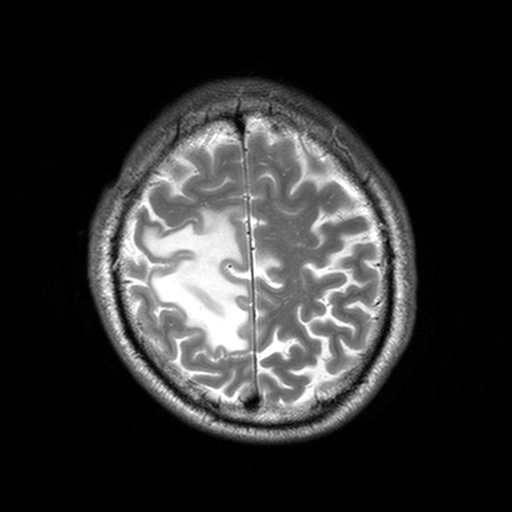
3 Tesla brain MRI. Series: T2-weighted turbo spin echo, 3 mm. Study: ring-enhancing brain masses.